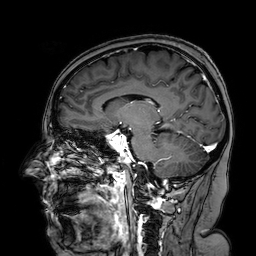
modality: 3 Tesla brain MRI | series: 3D T1-weighted turbo field echo with SENSE | study: ring-enhancing brain masses.